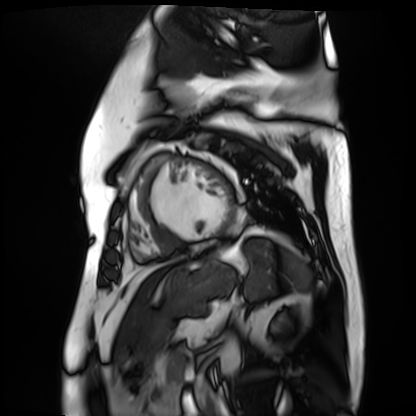
- modality · cardiac MR image of the myocardium
- subject cohort · cardiac patient